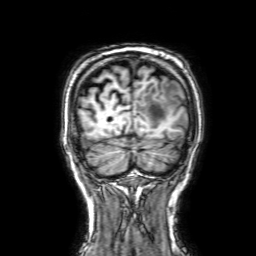
{"modality": {"type": "brain MRI", "field_strength": "3T"}, "series": "3D T1-weighted with SENSE", "study_topic": "ring-enhancing brain masses"}